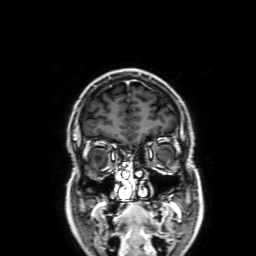
Clinical context: 3 Tesla brain MRI. Study: ring-enhancing brain masses.